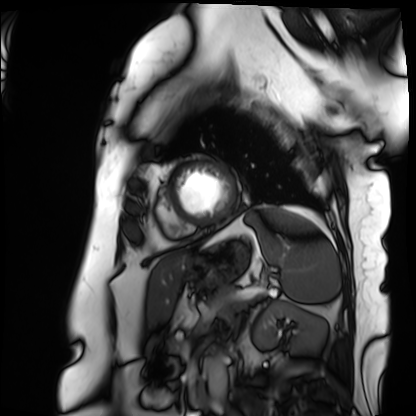
Cardiac MRI.
Subject group: patient.